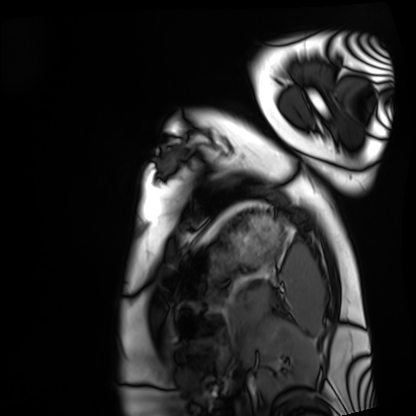
{"modality": "cardiac MRI", "cohort": "healthy volunteer"}